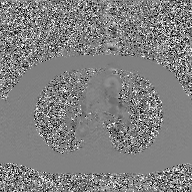
modality=2D phase-contrast cine MRI of the ascending aorta, GAN super-resolution reconstruction